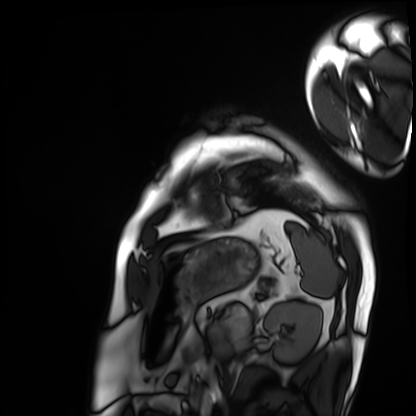
Case summary:
Cardiac MRI. Subject group: patient.